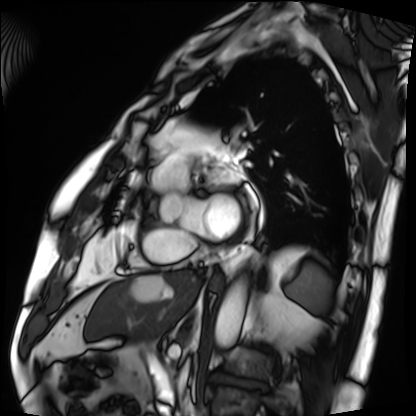
Cardiac MRI.
Subject group: patient.